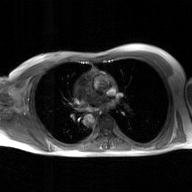
modality:
  type: 2D phase-contrast cine MRI
  region: ascending aorta
  reconstruction: GAN super-resolution reconstruction